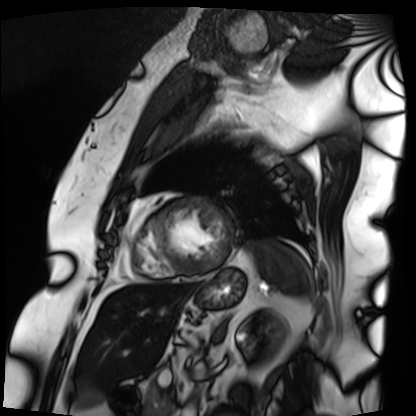
Summary: Cardiac MRI. Subject group: patient.